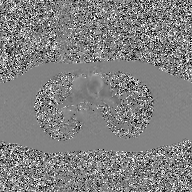
{
  "modality": {
    "type": "2D phase-contrast cine MRI",
    "region": "ascending aorta",
    "reconstruction": "GAN super-resolution reconstruction"
  }
}